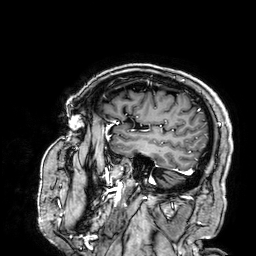
modality:
  type: brain MRI
  field_strength: 3T
series: 3D T1-weighted
study_topic: ring-enhancing brain masses